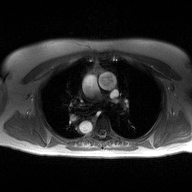
{
  "modality": {
    "type": "2D phase-contrast cine MRI",
    "region": "ascending aorta",
    "reconstruction": "high-resolution GRAPPA acquisition"
  }
}